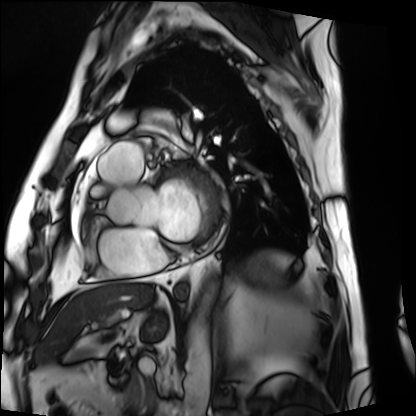
Q: What kind of scan is this?
A: Cardiac MRI.
Subject group: patient.